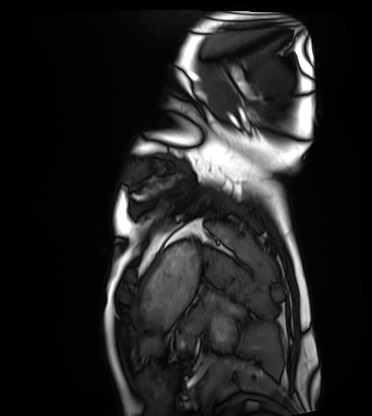
Clinical context:
Cardiac MRI. Subject group: healthy volunteer.